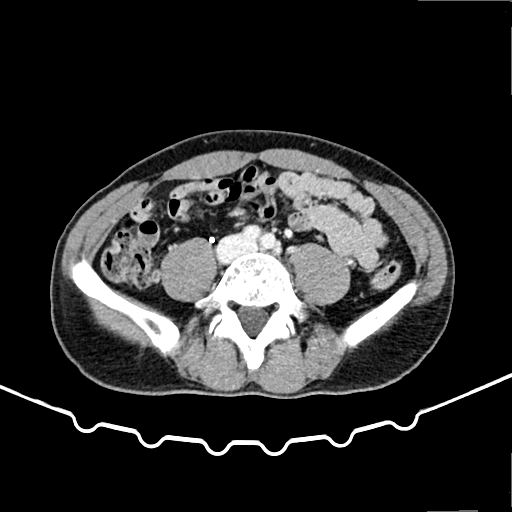
modality: multiphase abdominal CT, liver, delayed phase | patient: male, age 51.